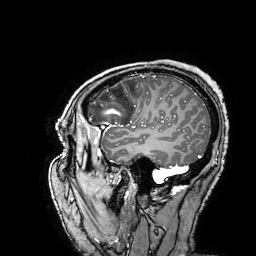
3 Tesla brain MRI. Series: 3D T1-weighted turbo field echo with SENSE. Study: ring-enhancing brain masses.